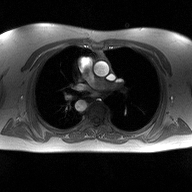
– modality · 2D phase-contrast cine MRI of the ascending aorta